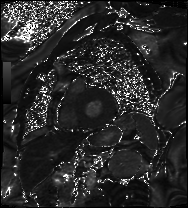
| field | value |
|---|---|
| modality | cardiac MRI |
| subject group | patient |